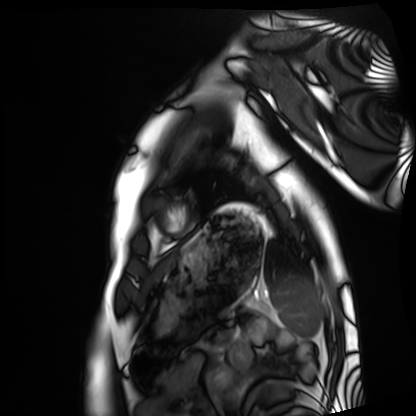
modality = cardiac MRI, subject group = healthy volunteer.